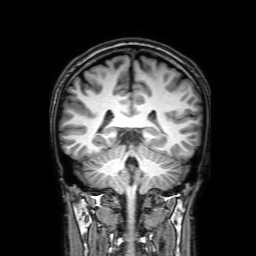
3 Tesla brain MRI.
Series: 3D T1-weighted with SENSE.
Study: ring-enhancing brain masses.